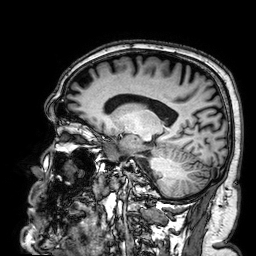
modality: 3 Tesla brain MRI; series: 3D T1-weighted; study: ring-enhancing brain masses.